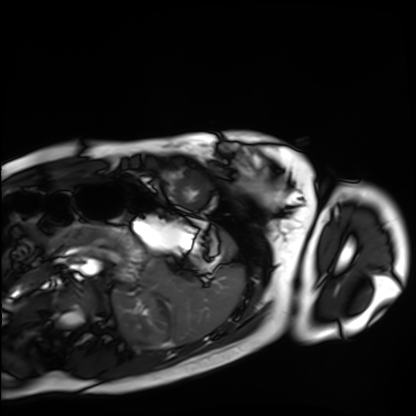
Cardiac MRI. Subject group: healthy volunteer.